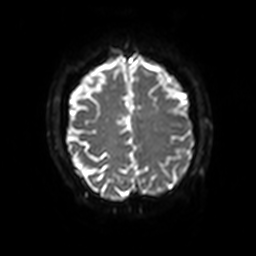
Q: What kind of scan is this?
A: 3 Tesla brain MRI.
Q: Series?
A: Diffusion-weighted imaging with SENSE (WIP).
Study: ring-enhancing brain masses.